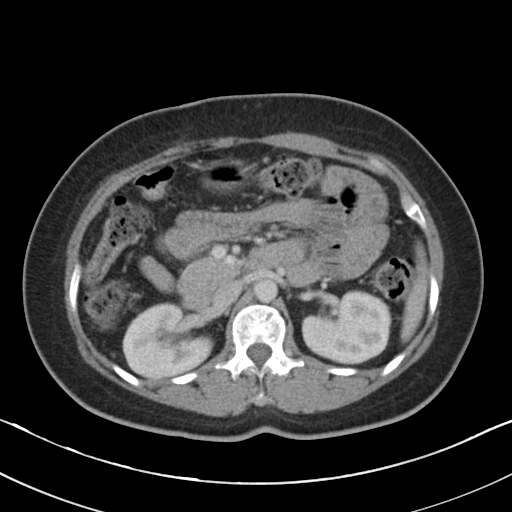
– modality: multiphase abdominal CT, liver, portal venous phase
– patient: female, age 50
– history: cirrhosis, viral hepatitis